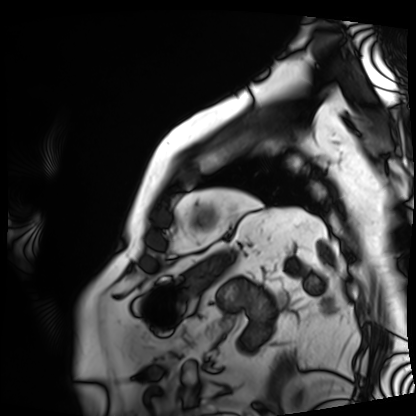
Cardiac MRI.
Subject group: patient.